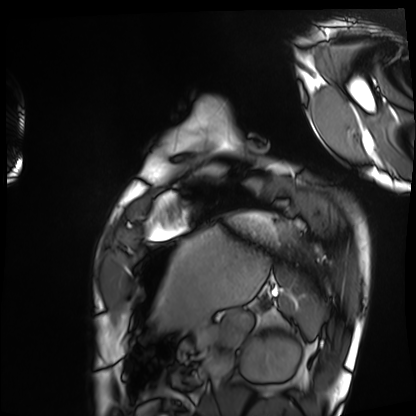
Cardiac MRI. Subject group: healthy volunteer.